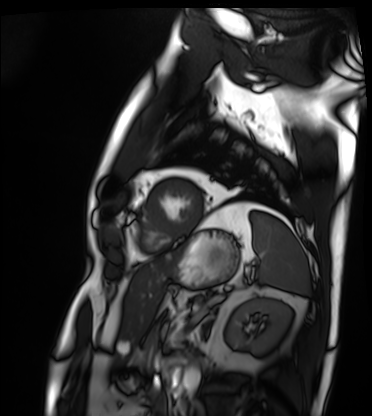
Q: What kind of scan is this?
A: Cardiac MRI.
Subject group: patient.